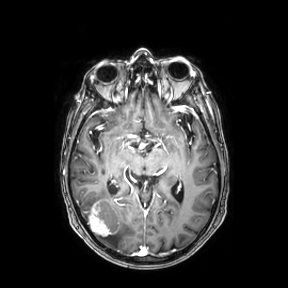
3 Tesla brain MRI. Study: ring-enhancing brain masses.